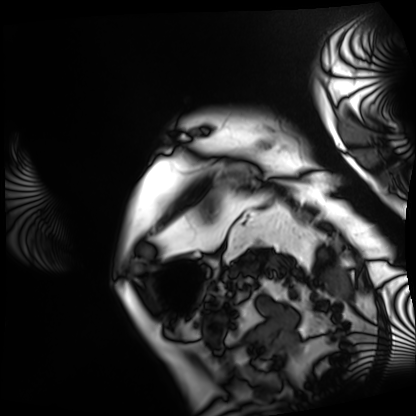
- modality: cardiac MRI
- subject group: patient